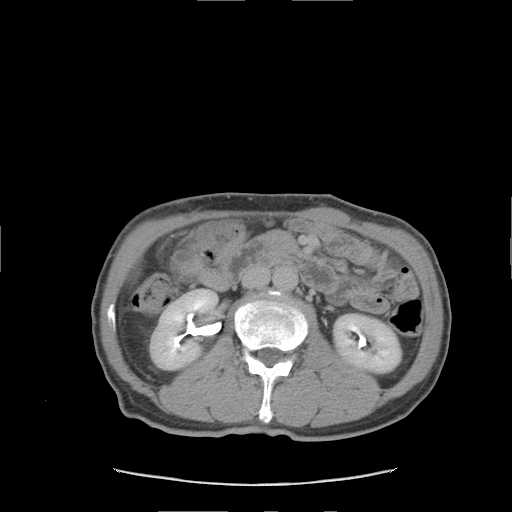
modality=multiphase abdominal CT, liver, delayed phase | patient=male, age 59 | history=viral hepatitis.